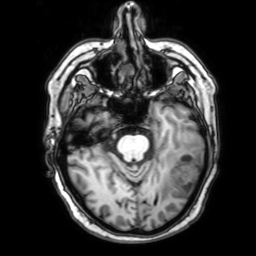
3 Tesla brain MRI. Series: 3D T1-weighted with SENSE. Study: ring-enhancing brain masses.